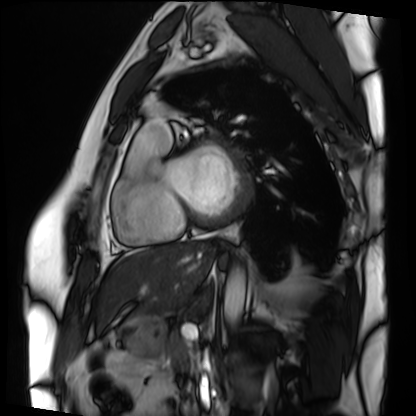
Cardiac MRI. Subject group: patient.